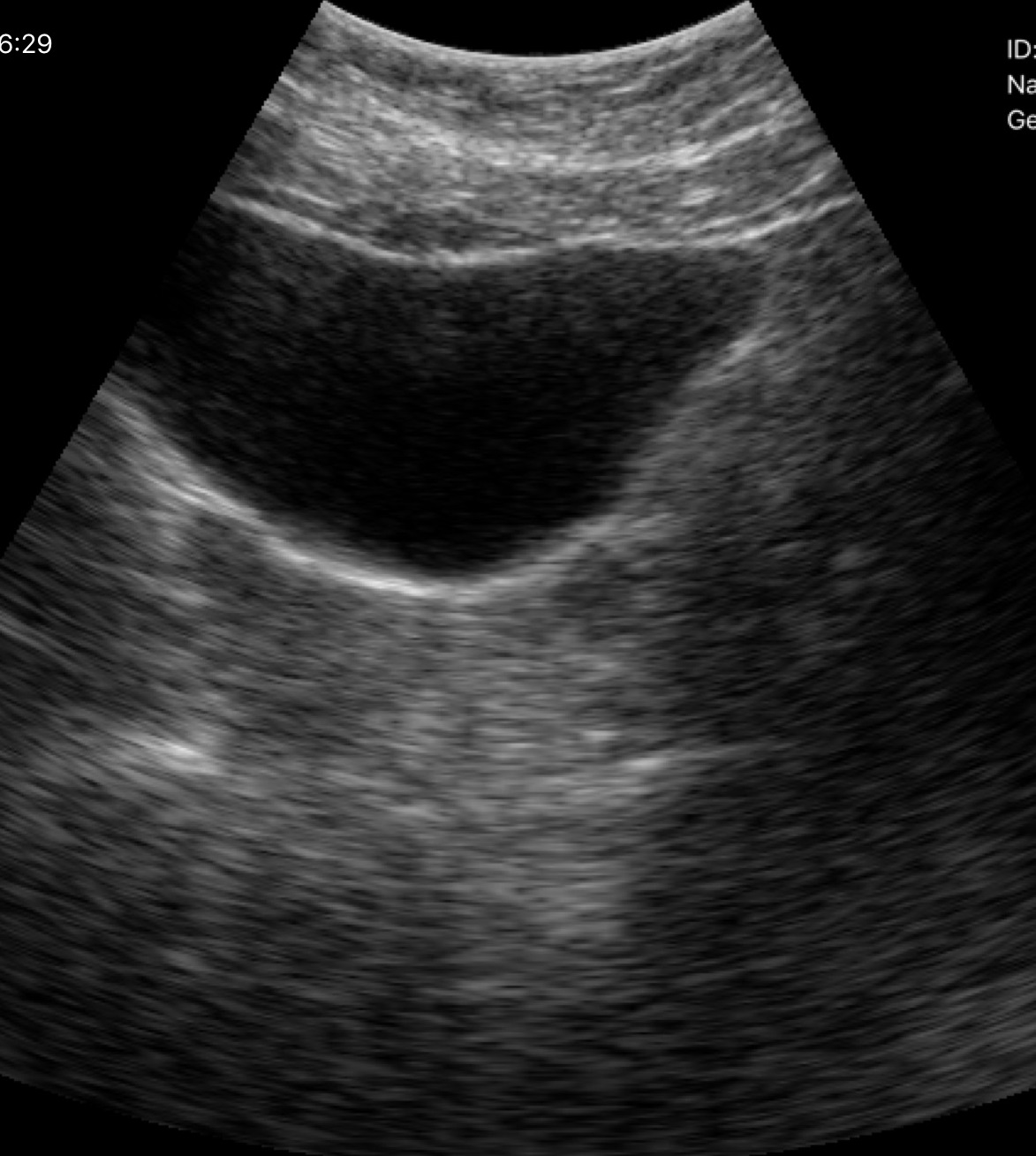
Summary:
Genitourinary ultrasound.